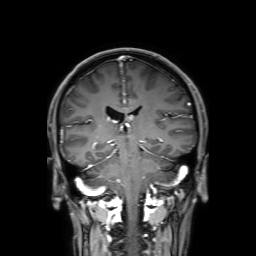
Summary:
3 Tesla brain MRI. Series: 3D T1-weighted with SENSE. Study: ring-enhancing brain masses.